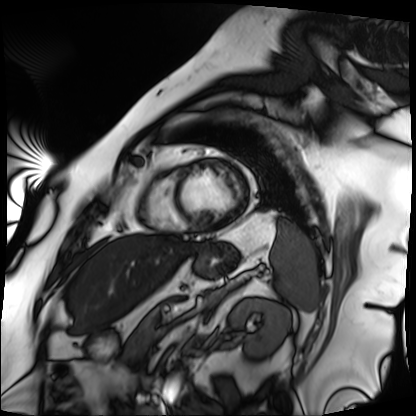
Cardiac MRI.
Subject group: patient.